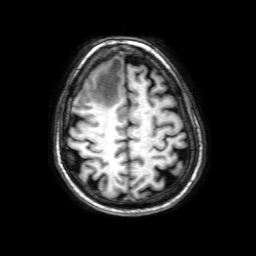
• modality — 3 Tesla brain MRI
• series — 3D T1-weighted with SENSE
• study — ring-enhancing brain masses